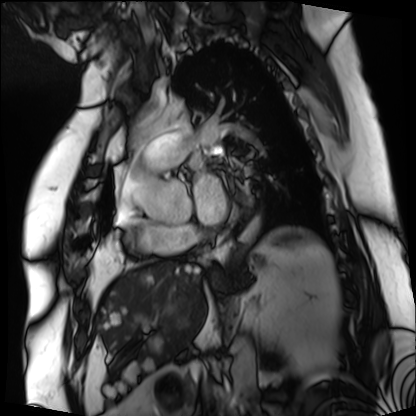
modality: cardiac MRI
subject group: patient